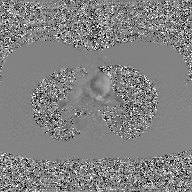
2D phase-contrast cine MRI of the ascending aorta, GAN super-resolution reconstruction.